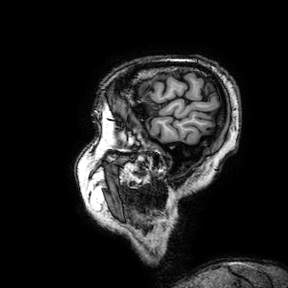
modality: 3 Tesla brain MRI
series: 3D T1-weighted turbo field echo with SENSE
study: ring-enhancing brain masses